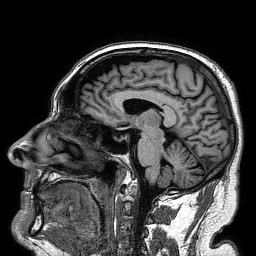
{"modality": {"type": "brain MRI", "field_strength": "3T"}, "series": "3D T1-weighted turbo field echo", "study_topic": "ring-enhancing brain masses"}